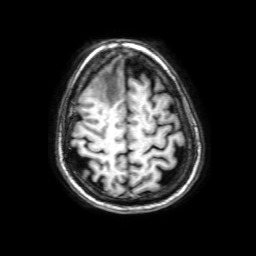
3 Tesla brain MRI. Series: 3D T1-weighted with SENSE. Study: ring-enhancing brain masses.